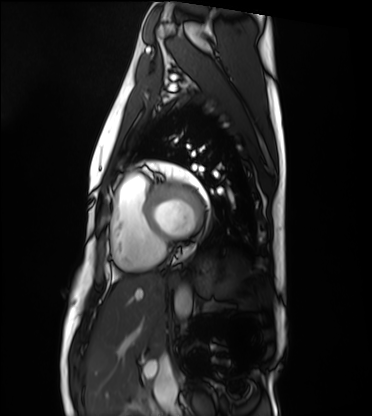
modality = cardiac MRI, subject group = healthy volunteer.